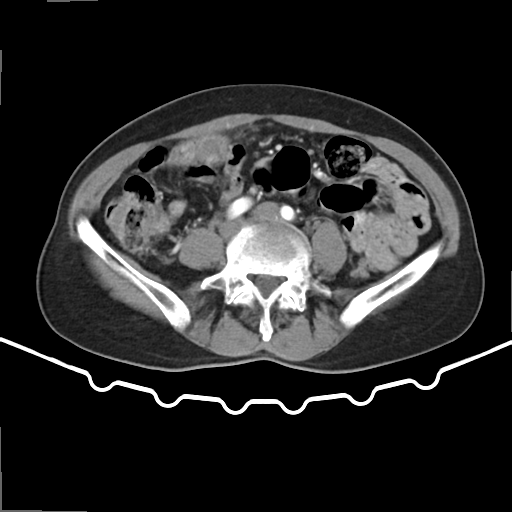
Summary:
Multiphase abdominal CT, liver, arterial phase. Patient: female, age 65.